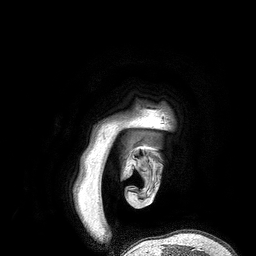
<case>
  <modality>
    <type>brain MRI</type>
    <field_strength>3T</field_strength>
  </modality>
  <series>3D T1-weighted turbo field echo</series>
  <study_topic>ring-enhancing brain masses</study_topic>
</case>